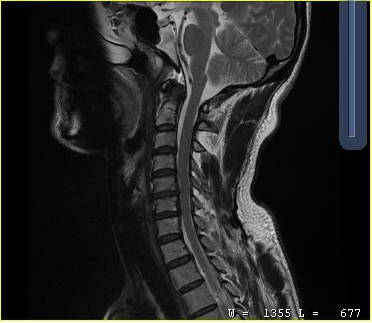
MRI of the cervical spine.
Study: cervical spondylosis.